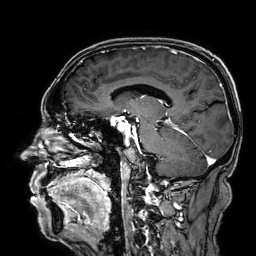
3 Tesla brain MRI. Series: 3D T1-weighted. Study: ring-enhancing brain masses.